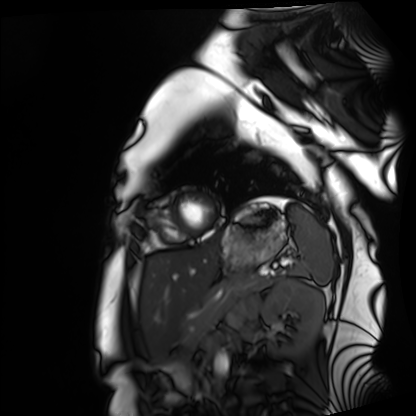
| field | value |
|---|---|
| modality | cardiac MRI |
| subject group | healthy volunteer |